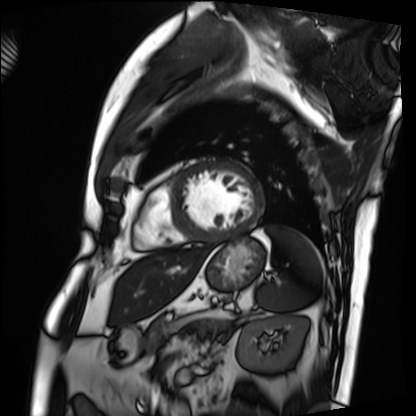
Summary: Cardiac MRI. Subject group: patient.